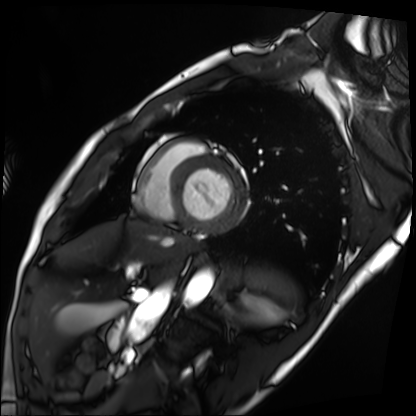
modality — cardiac MRI | subject group — patient.